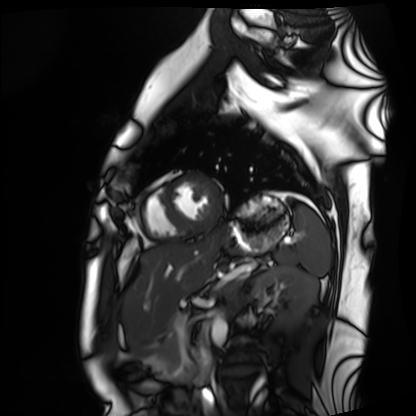
Case summary:
Cardiac MRI. Subject group: healthy volunteer.